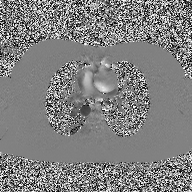
modality:
  type: 2D phase-contrast cine MRI
  region: ascending aorta
  reconstruction: high-resolution GRAPPA acquisition